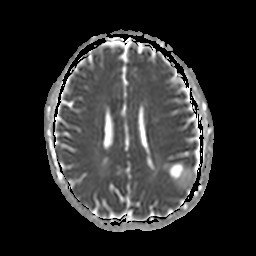
Summary: 3 Tesla brain MRI. Series: apparent diffusion coefficient (ADC) map. Study: ring-enhancing brain masses.